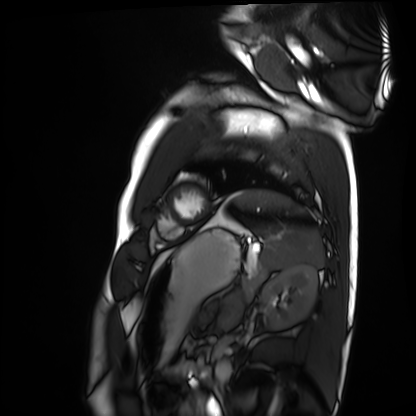
modality: cardiac MRI; subject group: healthy volunteer.